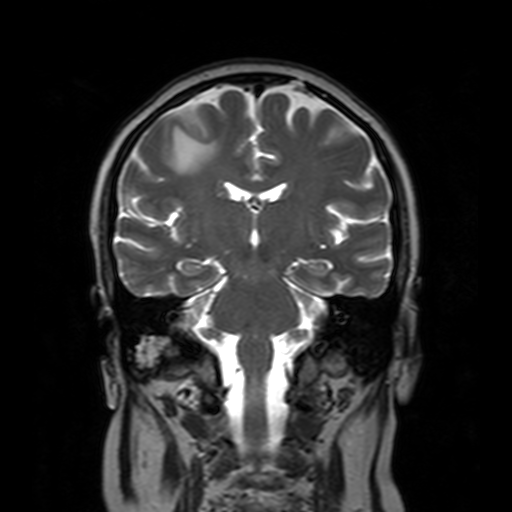
<case>
<modality>
  <type>brain MRI</type>
  <field_strength>3T</field_strength>
</modality>
<series>T2-weighted turbo spin echo with SENSE</series>
<study_topic>ring-enhancing brain masses</study_topic>
</case>